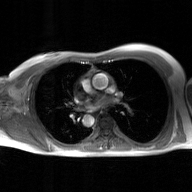
2D phase-contrast cine MRI of the ascending aorta, GAN super-resolution reconstruction.